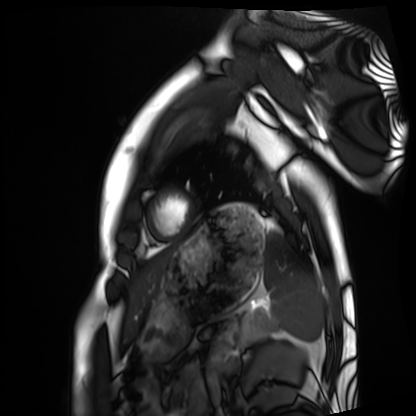
modality = cardiac MRI | subject group = healthy volunteer.